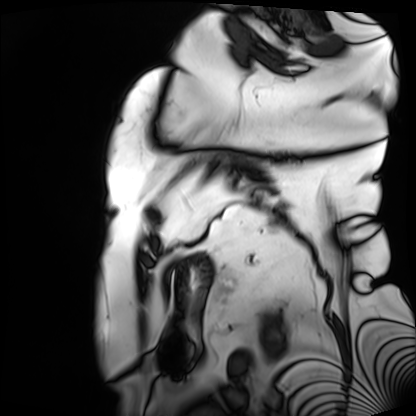
| field | value |
|---|---|
| modality | cardiac MRI |
| subject group | patient |